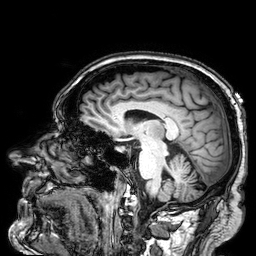
3 Tesla brain MRI. Series: 3D T1-weighted. Study: ring-enhancing brain masses.